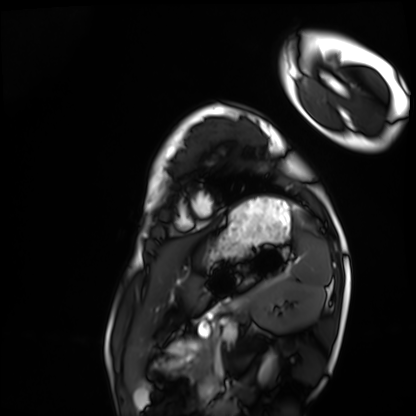
Cardiac MRI. Subject group: healthy volunteer.